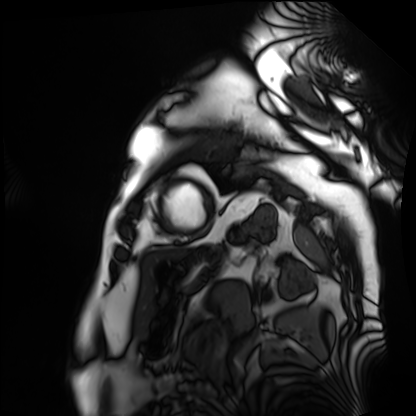
Summary: Cardiac MRI. Subject group: patient.